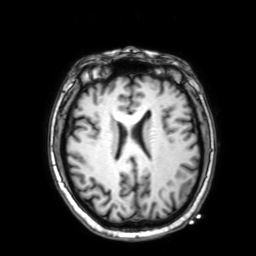
{
  "modality": {
    "type": "brain MRI",
    "field_strength": "3T"
  },
  "series": "3D T1-weighted with SENSE",
  "study_topic": "ring-enhancing brain masses"
}